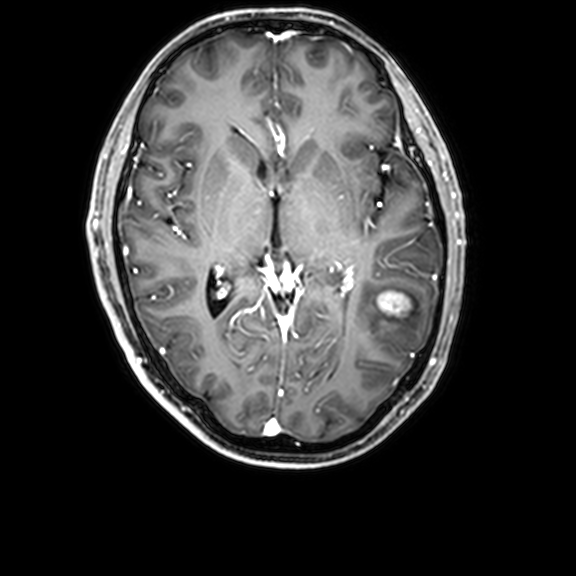
3 Tesla brain MRI.
Series: 3D T1-weighted with CLEAR.
Study: ring-enhancing brain masses.